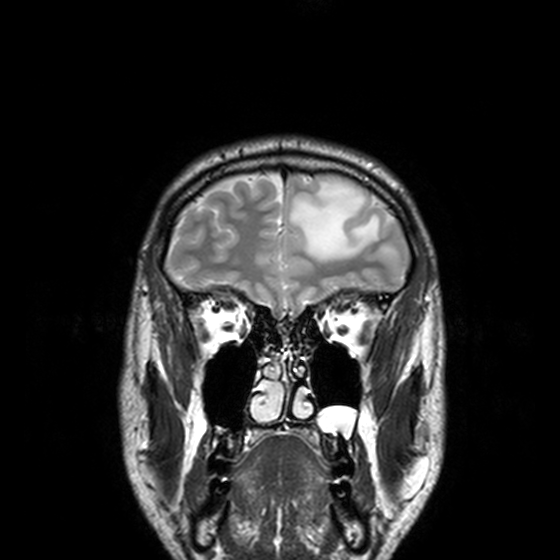
Clinical context:
3 Tesla brain MRI. Series: T2-weighted turbo spin echo, 3 mm. Study: ring-enhancing brain masses.